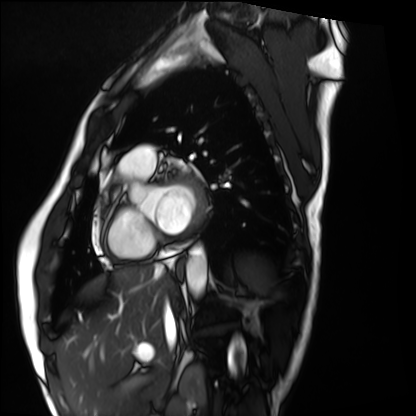
Summary: Cardiac MRI. Subject group: healthy volunteer.